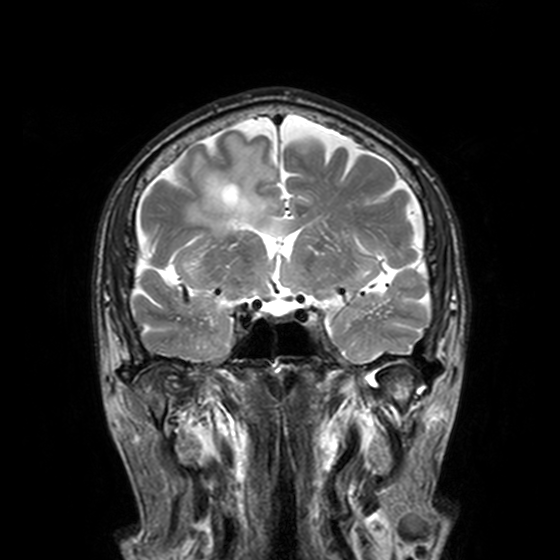
modality:
  type: brain MRI
  field_strength: 3T
series: T2-weighted turbo spin echo, 3 mm
study_topic: ring-enhancing brain masses